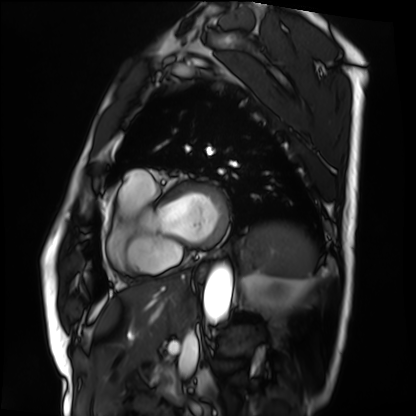
| field | value |
|---|---|
| modality | cardiac MRI |
| subject group | patient |